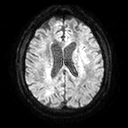
3 Tesla brain MRI.
Study: ring-enhancing brain masses.